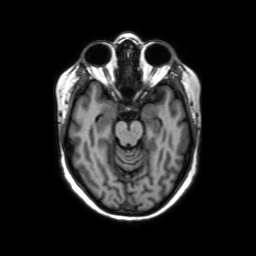
Summary: 3 Tesla brain MRI. Series: axial without contrast. Study: ring-enhancing brain masses.